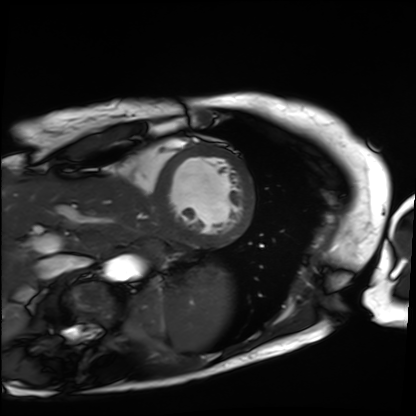
Summary:
Cardiac MRI. Subject group: patient.